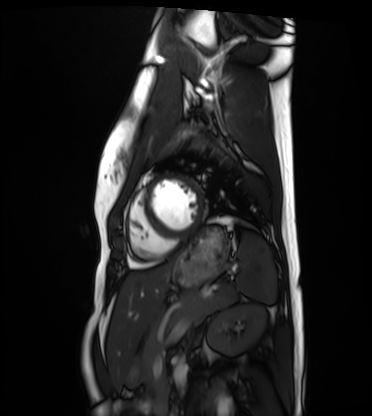
Cardiac MRI. Subject group: healthy volunteer.